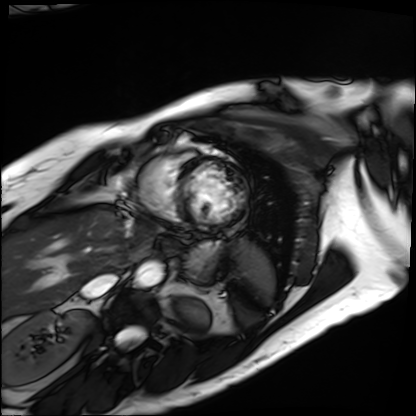
Q: What kind of scan is this?
A: Cardiac MRI.
Subject group: patient.